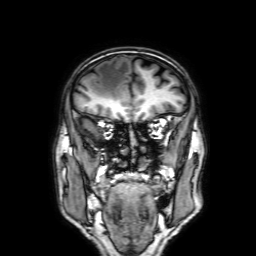
| field | value |
|---|---|
| modality | 3 Tesla brain MRI |
| series | 3D T1-weighted with SENSE |
| study | ring-enhancing brain masses |